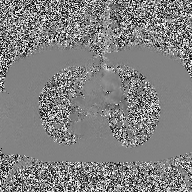
modality — 2D phase-contrast cine MRI of the ascending aorta.